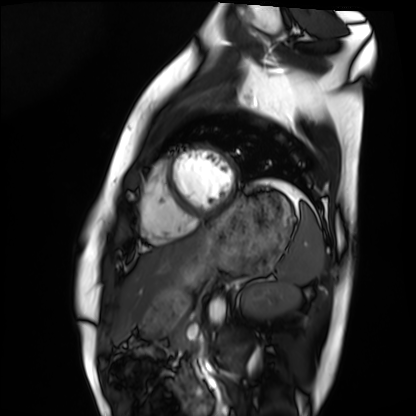
modality: cardiac MRI; subject group: healthy volunteer.